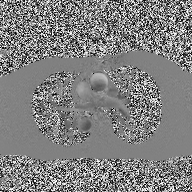
modality:
  type: 2D phase-contrast cine MRI
  region: ascending aorta
  reconstruction: high-resolution GRAPPA acquisition